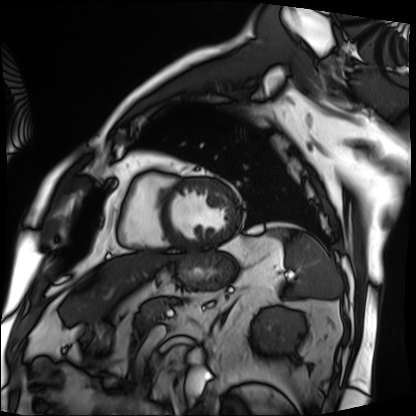
Cardiac MRI. Subject group: patient.